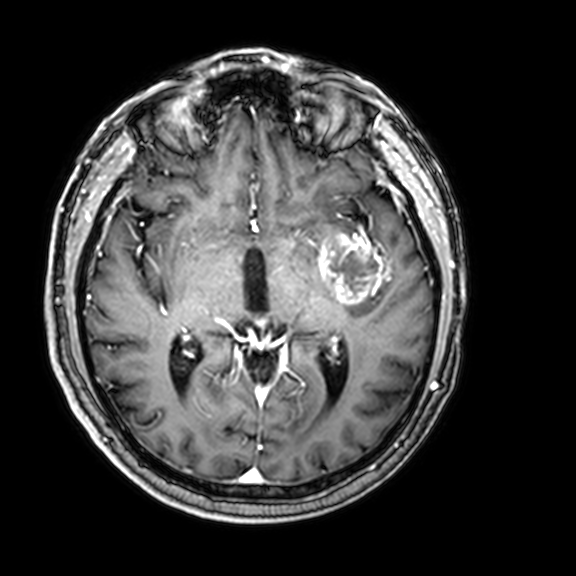
3 Tesla brain MRI. Series: 3D T1-weighted with CLEAR. Study: ring-enhancing brain masses.